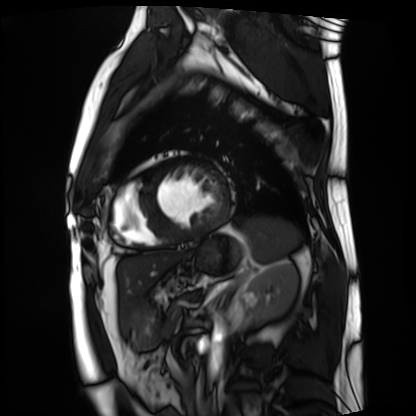
modality: cardiac MRI
subject group: patient